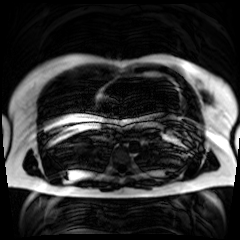
Chemical-shift-encoded cardiac MRI.